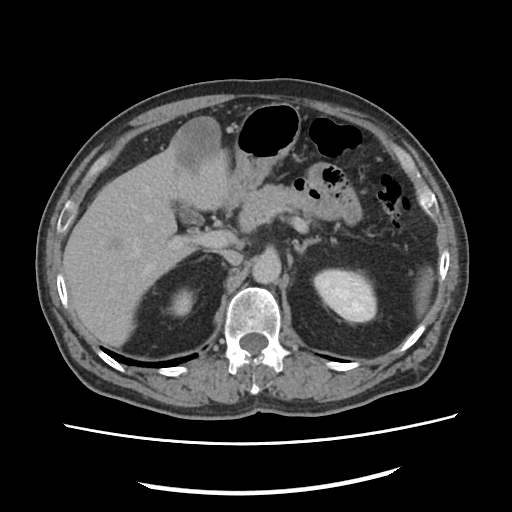
{
  "modality": {
    "type": "multiphase abdominal CT",
    "region": "liver",
    "phase": "delayed"
  },
  "patient": {
    "sex": "male",
    "age": 59
  }
}